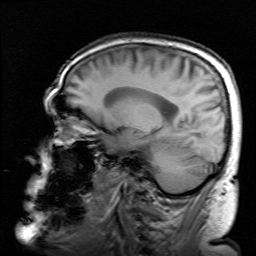
3 Tesla brain MRI. Series: survey. Study: ring-enhancing brain masses.